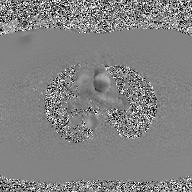
| field | value |
|---|---|
| modality | 2D phase-contrast cine MRI of the ascending aorta, GAN super-resolution reconstruction |